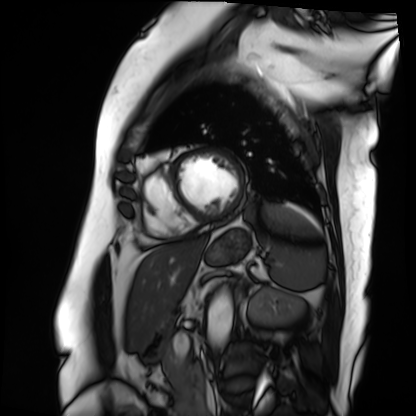
- modality · cardiac MRI
- subject group · patient